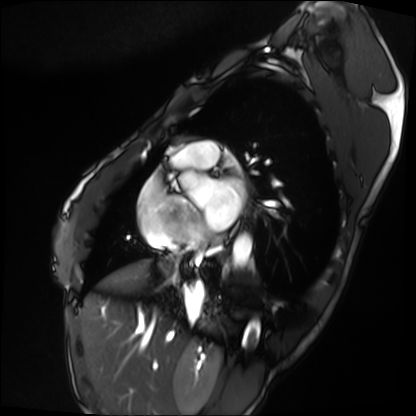
Cardiac MRI. Subject group: patient.